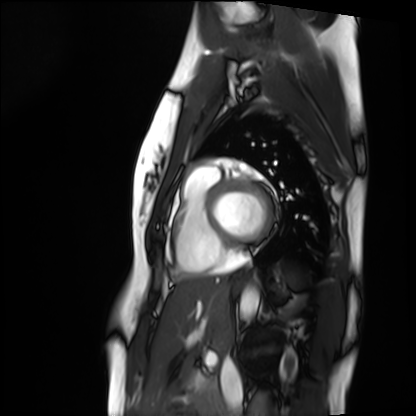
* modality · cardiac MRI
* subject group · healthy volunteer